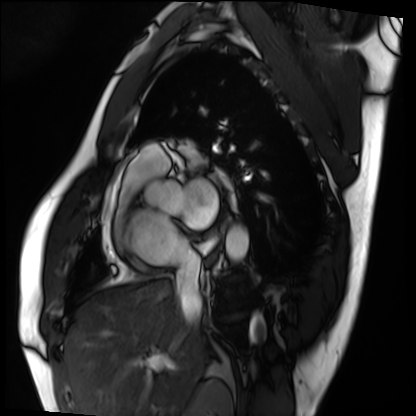
* modality · cardiac MRI
* subject group · patient